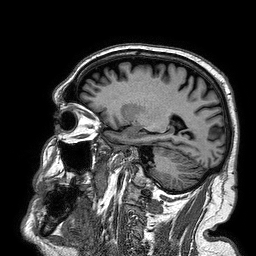
- modality · 3 Tesla brain MRI
- series · 3D T1-weighted turbo field echo
- study · ring-enhancing brain masses